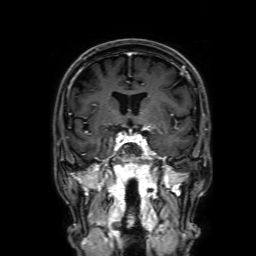
modality: 3 Tesla brain MRI
study: ring-enhancing brain masses